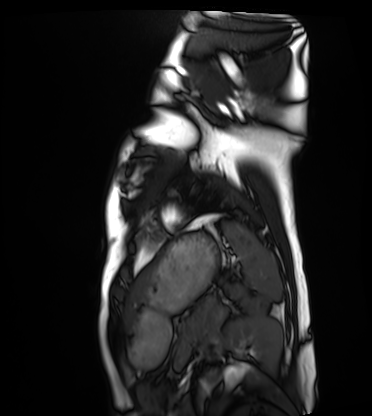
modality=cardiac MRI | subject group=healthy volunteer.